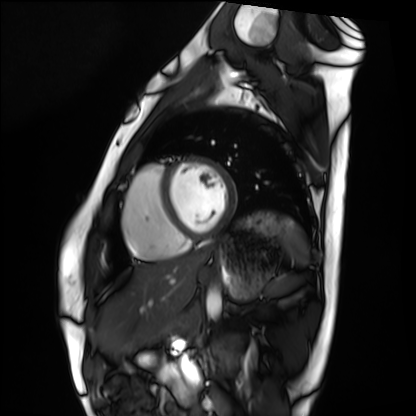
Cardiac MRI. Subject group: healthy volunteer.